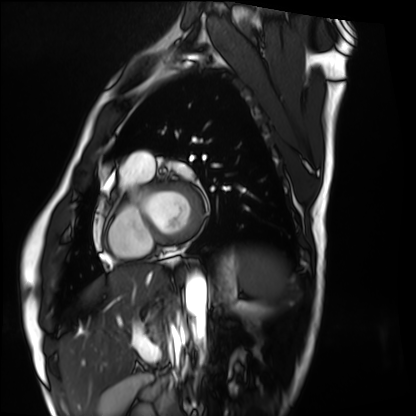
Cardiac MRI.
Subject group: healthy volunteer.